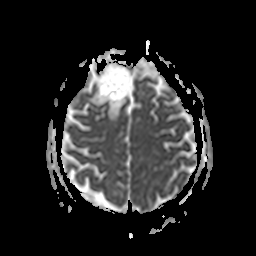
modality=3 Tesla brain MRI; series=apparent diffusion coefficient (ADC) map; study=ring-enhancing brain masses.